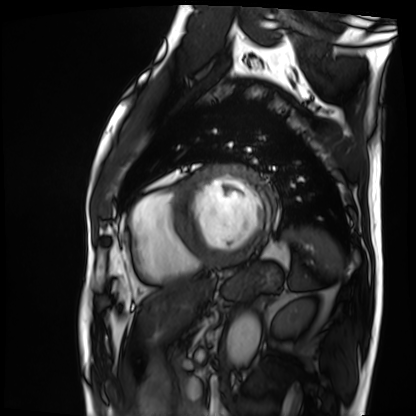
Cardiac MRI. Subject group: patient.